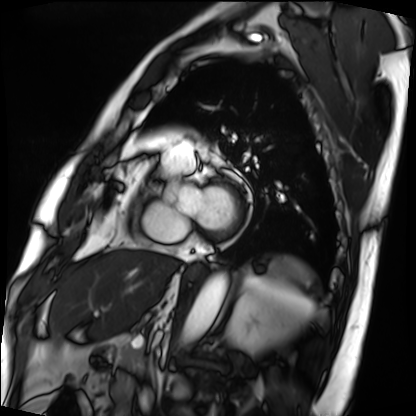
Cardiac MRI. Subject group: patient.